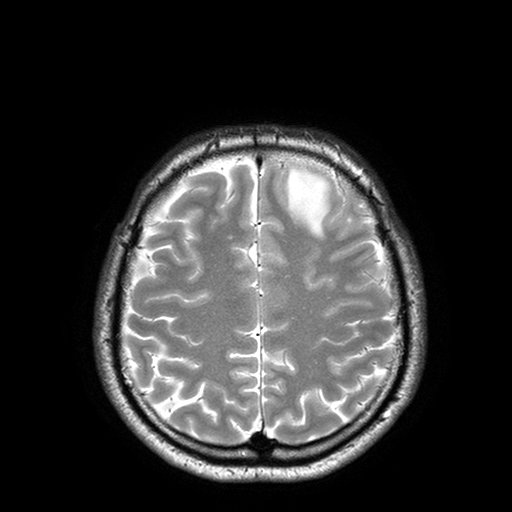
3 Tesla brain MRI.
Series: T2-weighted turbo spin echo with SENSE.
Study: ring-enhancing brain masses.